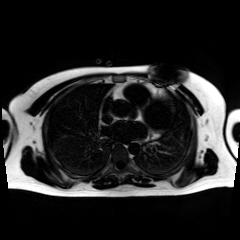
{"modality": "chemical-shift-encoded cardiac MRI"}